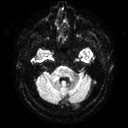
Clinical context: 3 Tesla brain MRI. Series: diffusion tensor imaging (medium iso). Study: ring-enhancing brain masses.